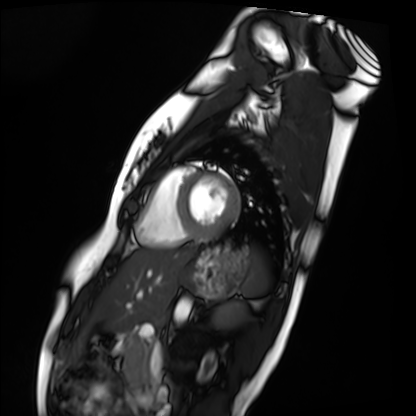
Cardiac MRI. Subject group: healthy volunteer.